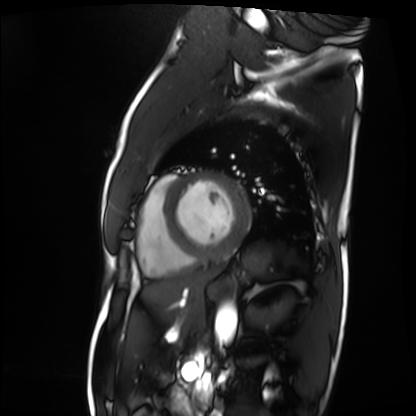
Cardiac MRI. Subject group: patient.